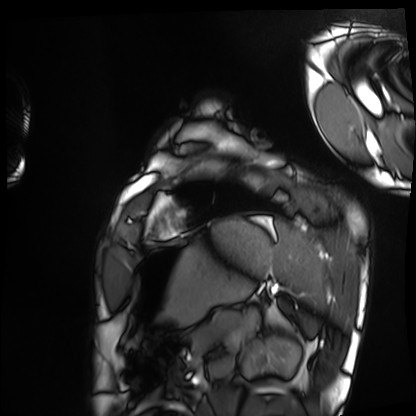
Case:
– modality: cardiac MRI
– subject group: healthy volunteer